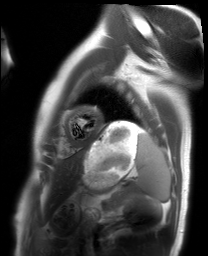
Summary: Cardiac MRI. Subject group: healthy volunteer.